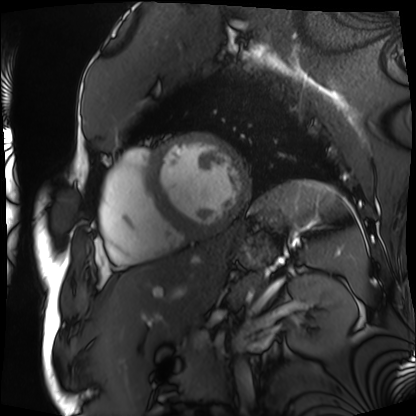
Q: What kind of scan is this?
A: Cardiac MRI.
Subject group: patient.